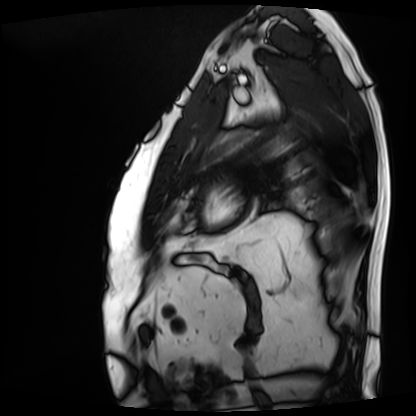
modality=cardiac MRI
subject group=patient